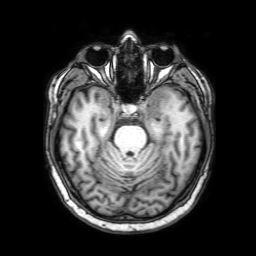
- modality — 3 Tesla brain MRI
- series — 3D T1-weighted with SENSE
- study — ring-enhancing brain masses